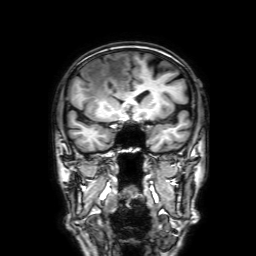
Q: What kind of scan is this?
A: 3 Tesla brain MRI.
Q: Series?
A: 3D T1-weighted with SENSE.
Study: ring-enhancing brain masses.